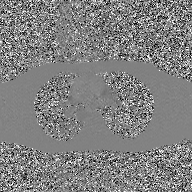
Summary:
2D phase-contrast cine MRI of the ascending aorta, GAN super-resolution reconstruction.